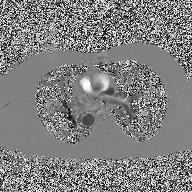
2D phase-contrast cine MRI of the ascending aorta, high-resolution GRAPPA acquisition.